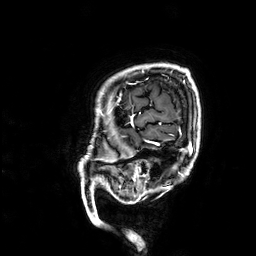
modality: 3 Tesla brain MRI
series: 3D T1-weighted
study: ring-enhancing brain masses